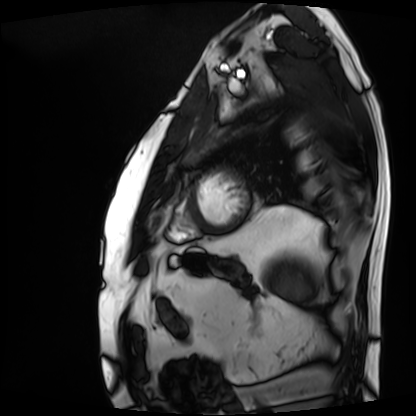
* modality: cardiac MRI
* subject group: patient